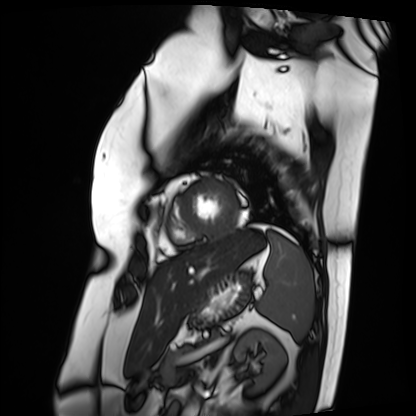
Cardiac MRI. Subject group: patient.